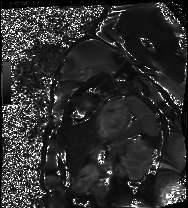
Cardiac MRI. Subject group: healthy volunteer.